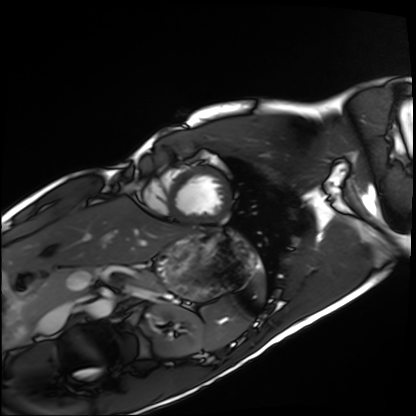
Cardiac MRI. Subject group: healthy volunteer.